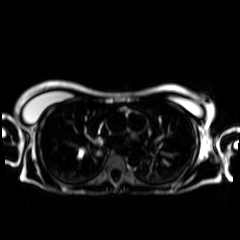
Chemical-shift-encoded cardiac MRI.